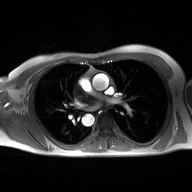
modality — 2D phase-contrast cine MRI of the ascending aorta